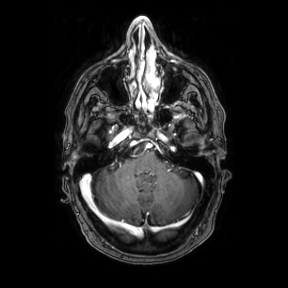
Case summary:
3 Tesla brain MRI. Study: ring-enhancing brain masses.